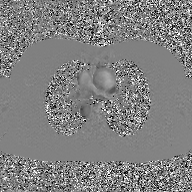
| field | value |
|---|---|
| modality | 2D phase-contrast cine MRI of the ascending aorta, GAN super-resolution reconstruction |